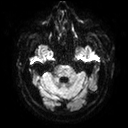
Clinical context: 3 Tesla brain MRI. Series: diffusion tensor imaging (medium iso). Study: ring-enhancing brain masses.